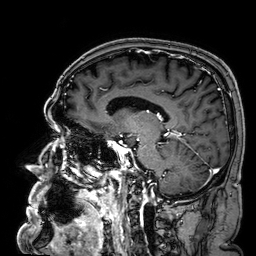
3 Tesla brain MRI. Series: 3D T1-weighted. Study: ring-enhancing brain masses.